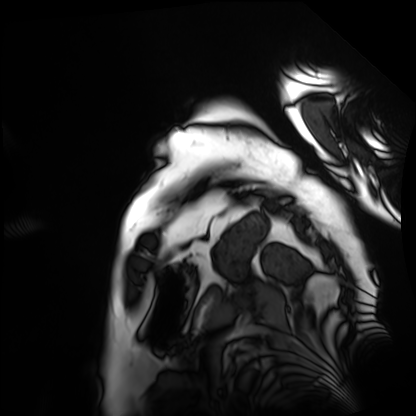
Case summary:
Cardiac MRI. Subject group: patient.